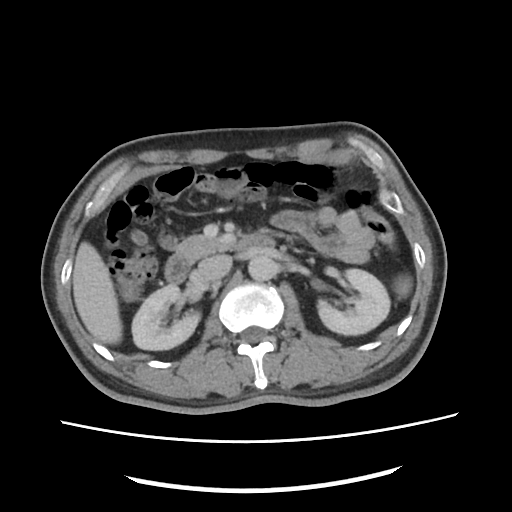
{"modality": {"type": "multiphase abdominal CT", "region": "liver", "phase": "portal venous"}, "patient": {"sex": "male", "age": 49}}